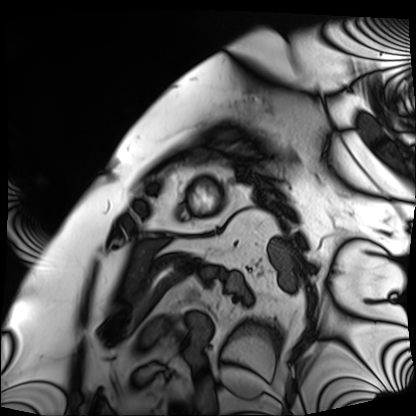
modality: cardiac MRI
cohort: patient